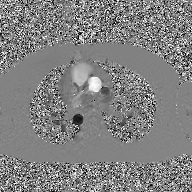
Summary:
2D phase-contrast cine MRI of the ascending aorta, GAN super-resolution reconstruction.